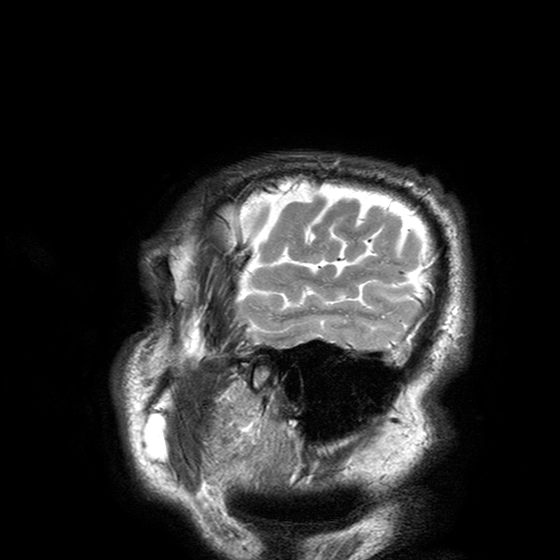
| field | value |
|---|---|
| modality | 3 Tesla brain MRI |
| series | T2-weighted turbo spin echo with SENSE |
| study | ring-enhancing brain masses |